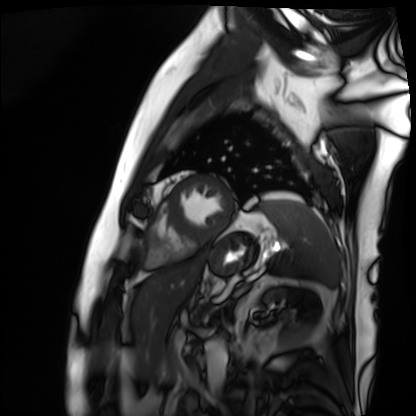
<case>
  <modality>cardiac MRI</modality>
  <cohort>patient</cohort>
</case>